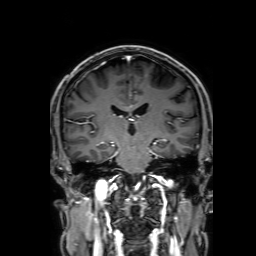
modality = 3 Tesla brain MRI | series = 3D T1-weighted with SENSE | study = ring-enhancing brain masses.